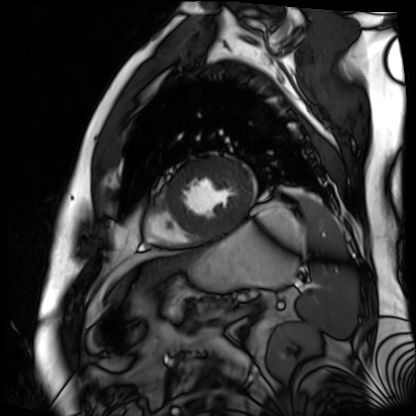
Q: What kind of scan is this?
A: Cardiac MR image of the myocardium.
Subject cohort: cardiac patient.